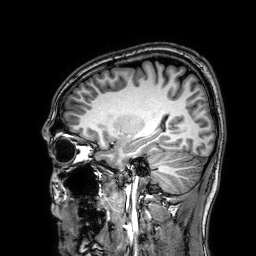
  modality:
    type: brain MRI
    field_strength: 3T
  series: 3D T1-weighted
  study_topic: ring-enhancing brain masses